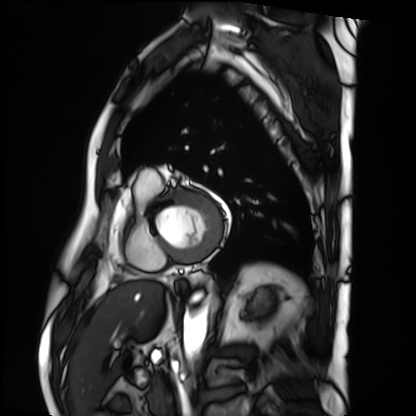
Cardiac MRI.
Subject group: patient.